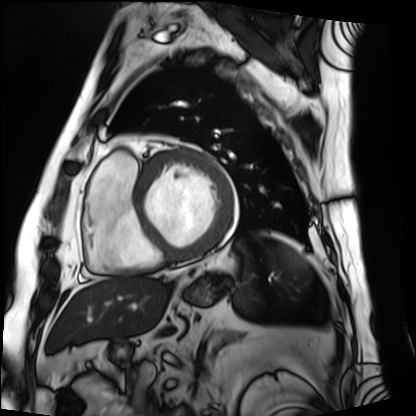
Cardiac MRI.
Subject group: patient.